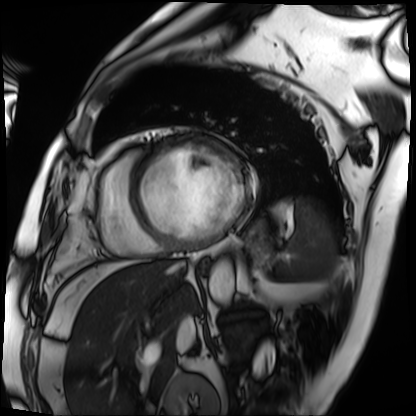
Clinical context: Cardiac MRI. Subject group: patient.